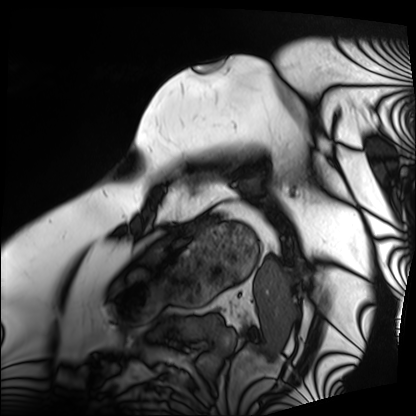
modality = cardiac MRI
subject group = patient